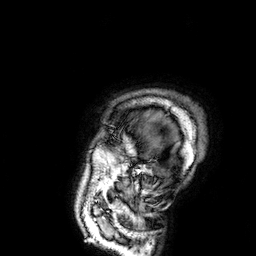
3 Tesla brain MRI. Series: 3D T1-weighted. Study: ring-enhancing brain masses.